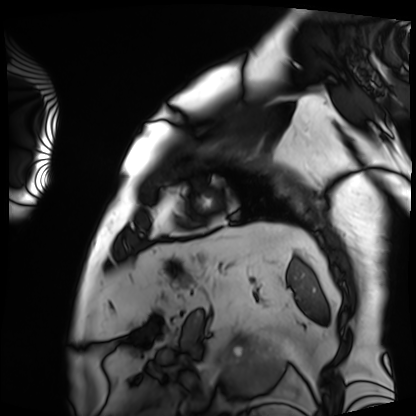
| field | value |
|---|---|
| modality | cardiac MRI |
| subject group | patient |